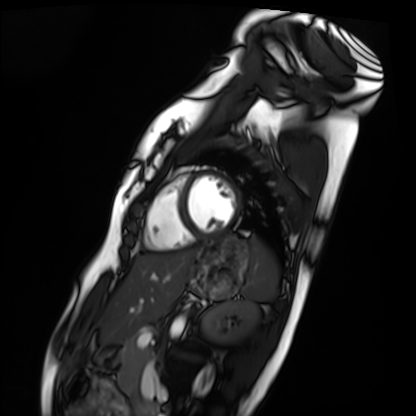
Cardiac MRI. Subject group: healthy volunteer.